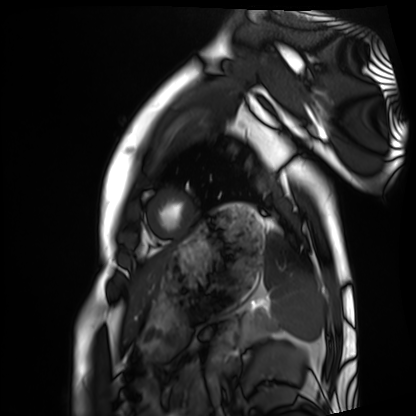
Cardiac MRI. Subject group: healthy volunteer.